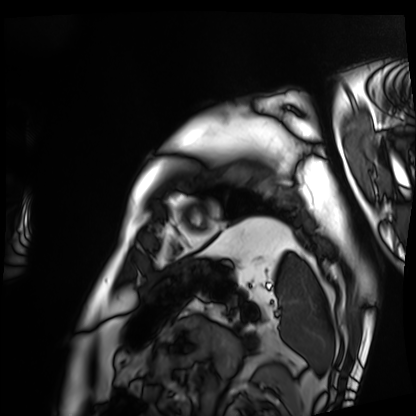
modality: cardiac MRI; subject group: patient.